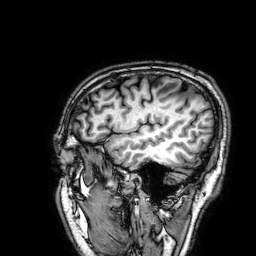
3 Tesla brain MRI.
Series: 3D T1-weighted.
Study: ring-enhancing brain masses.